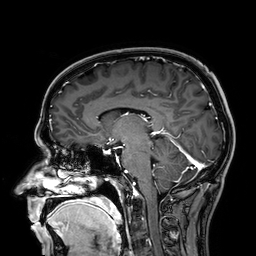
Q: What kind of scan is this?
A: 3 Tesla brain MRI.
Q: Series?
A: 3D T1-weighted.
Study: ring-enhancing brain masses.